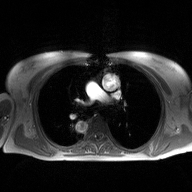
2D phase-contrast cine MRI of the ascending aorta, high-resolution GRAPPA acquisition.